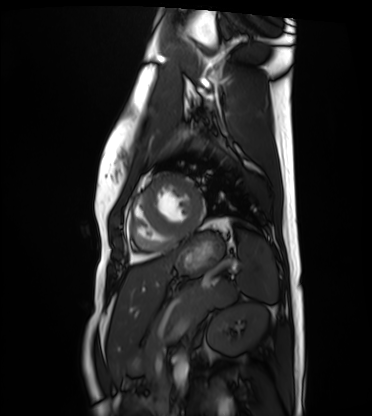
<record>
  <modality>cardiac MRI</modality>
  <cohort>healthy volunteer</cohort>
</record>